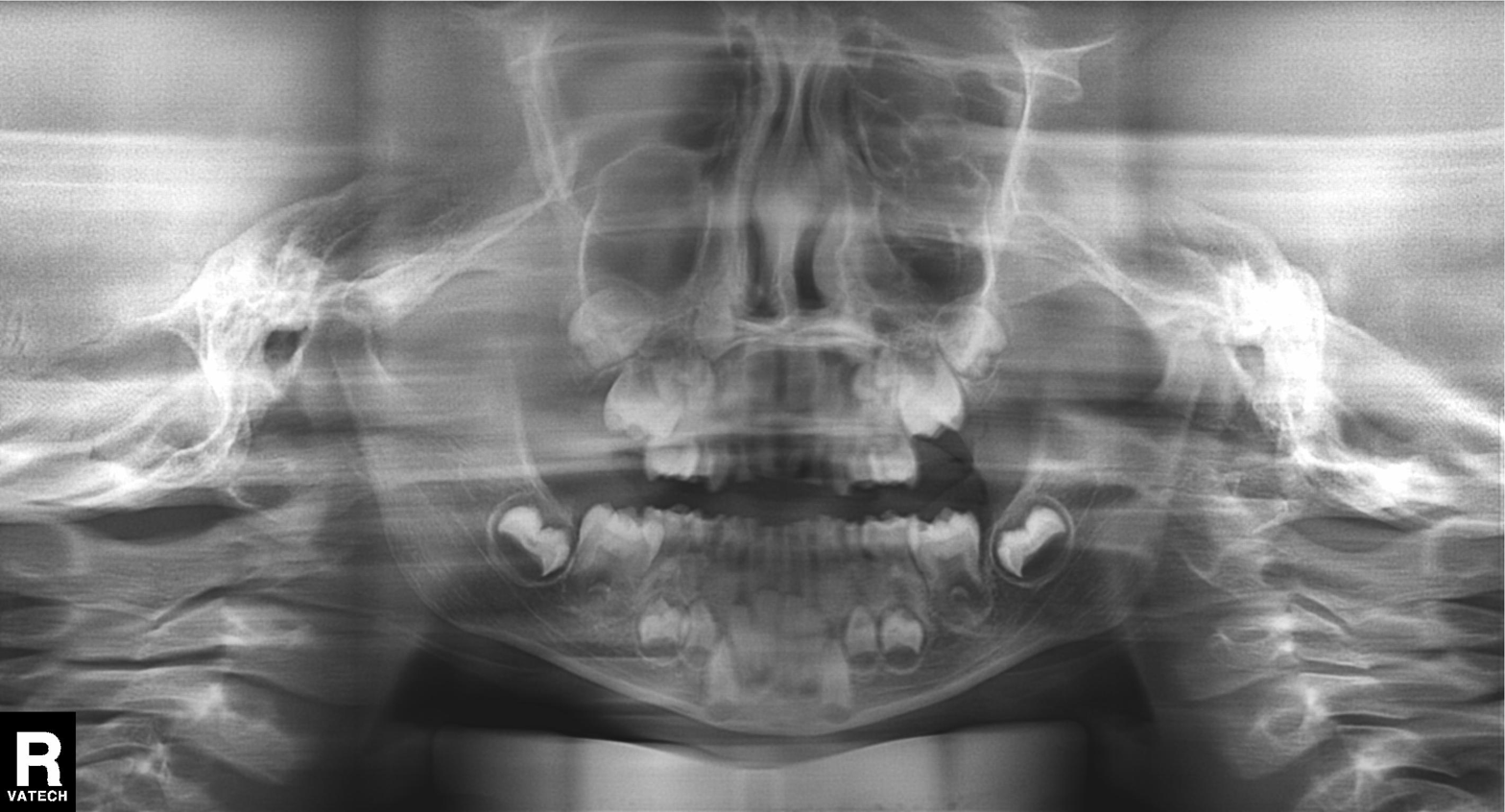
modality = panoramic dental radiograph (orthopantomogram); finding = alveolar bone loss.